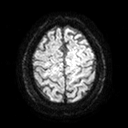
Clinical context:
3 Tesla brain MRI. Series: diffusion tensor imaging (medium iso). Study: ring-enhancing brain masses.